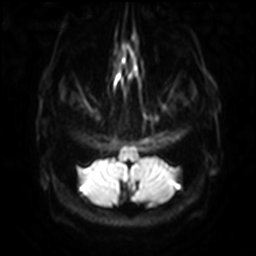
3 Tesla brain MRI.
Series: diffusion-weighted imaging with SENSE (WIP).
Study: ring-enhancing brain masses.